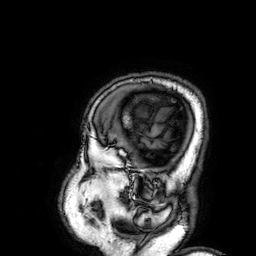
| field | value |
|---|---|
| modality | 3 Tesla brain MRI |
| series | 3D T1-weighted |
| study | ring-enhancing brain masses |